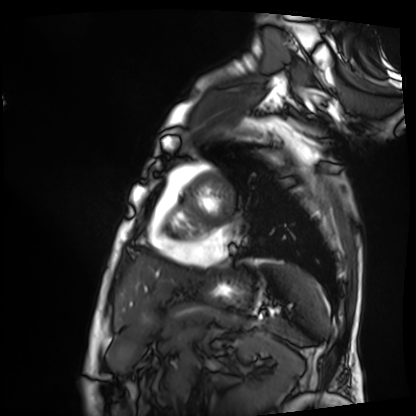
Cardiac MRI.
Subject group: patient.